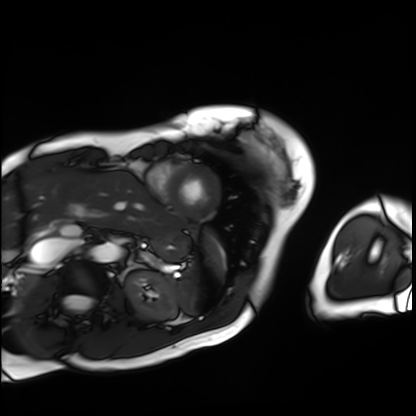
Q: What kind of scan is this?
A: Cardiac MRI.
Subject group: patient.